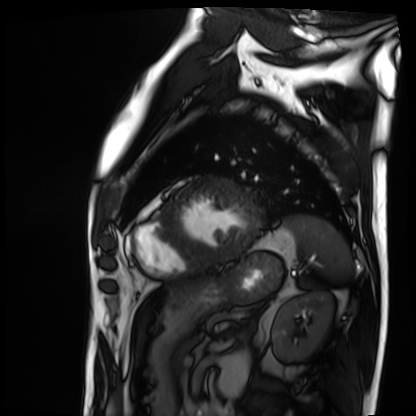
Case:
- modality: cardiac MRI
- subject group: patient